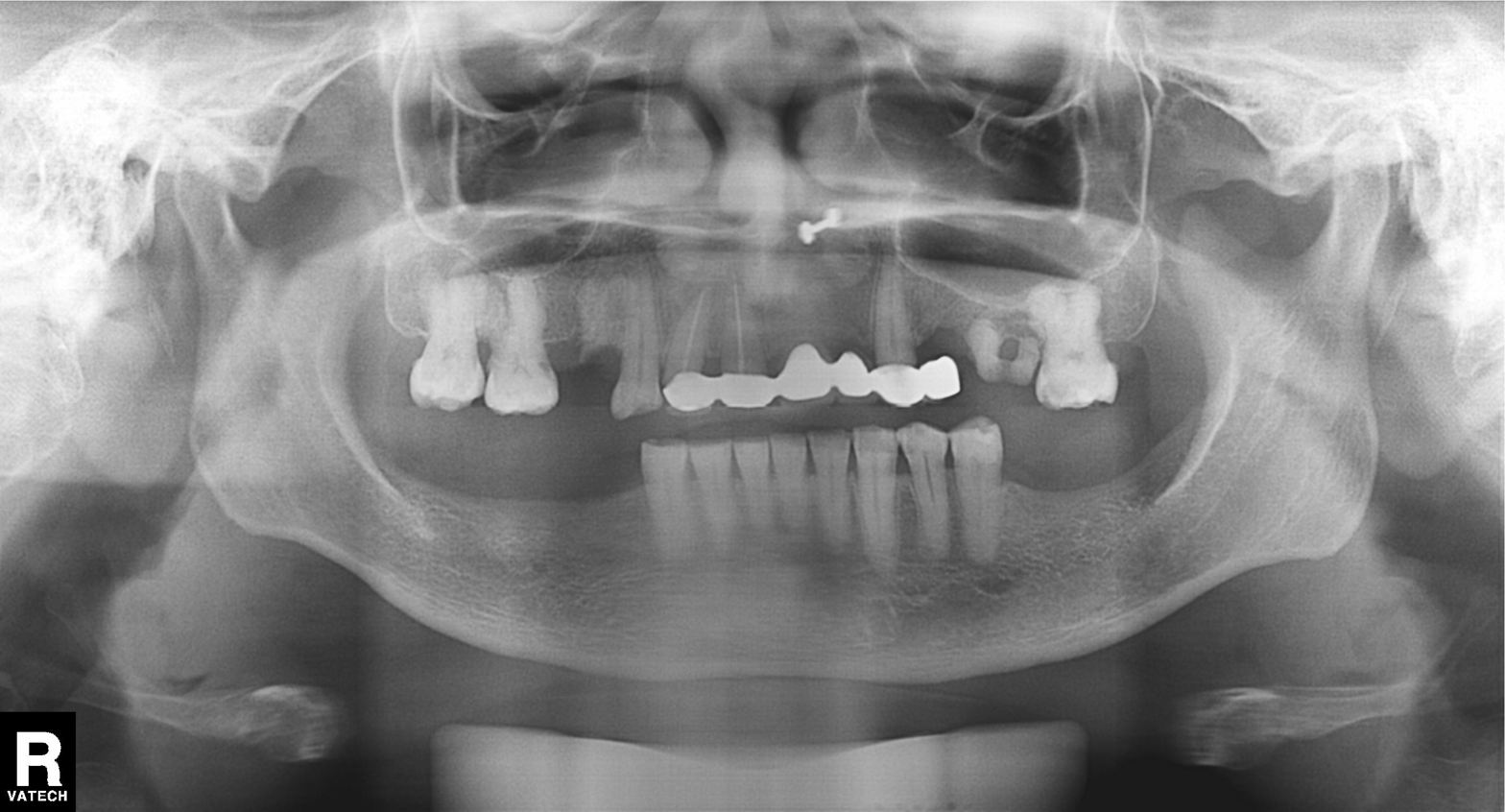
Panoramic dental radiograph (orthopantomogram). Finding: alveolar bone loss.